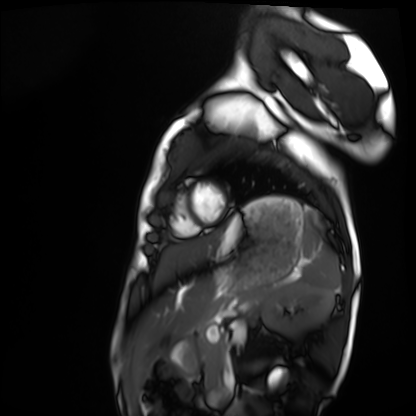
Cardiac MRI. Subject group: healthy volunteer.